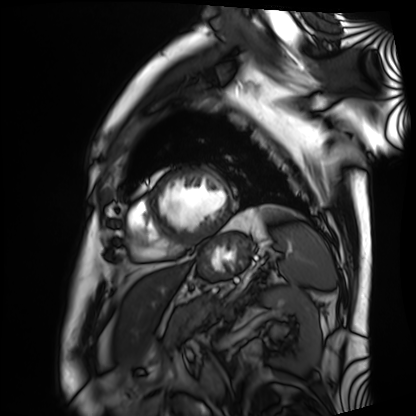
{"modality": "cardiac MRI", "cohort": "patient"}